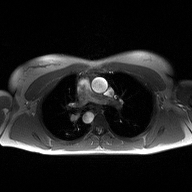
Case:
• modality · 2D phase-contrast cine MRI of the ascending aorta